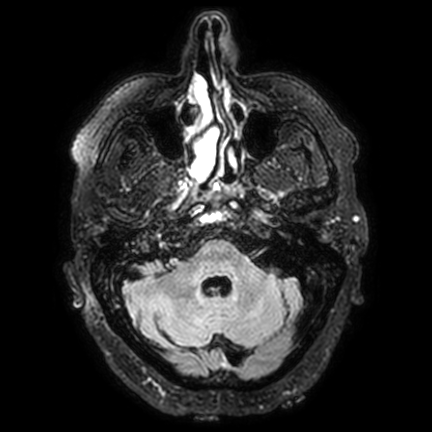
{"modality": {"type": "brain MRI", "field_strength": "3T"}, "series": "FLAIR VISTA with SENSE", "study_topic": "ring-enhancing brain masses"}